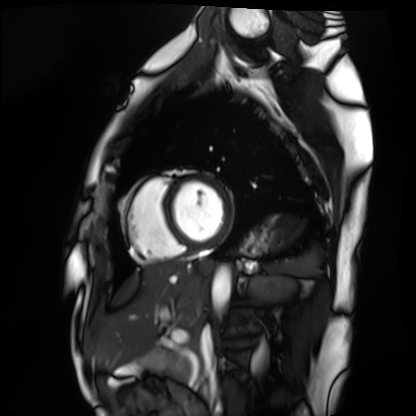
Summary: Cardiac MRI. Subject group: healthy volunteer.